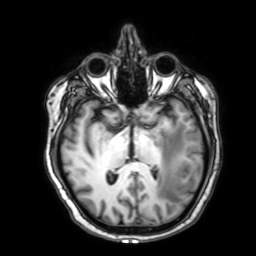
3 Tesla brain MRI. Series: 3D T1-weighted with SENSE. Study: ring-enhancing brain masses.